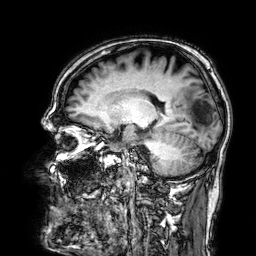
• modality — 3 Tesla brain MRI
• series — 3D T1-weighted
• study — ring-enhancing brain masses